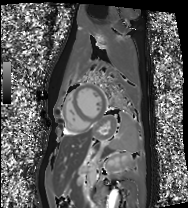
Q: What kind of scan is this?
A: Cardiac MRI.
Subject group: healthy volunteer.